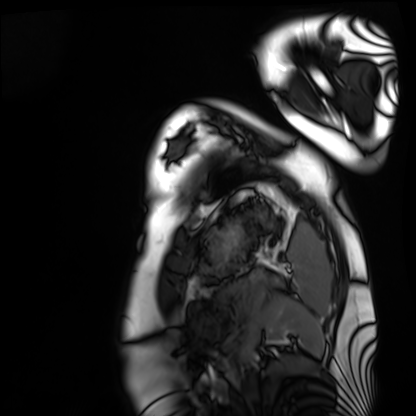
modality = cardiac MRI; subject group = healthy volunteer.